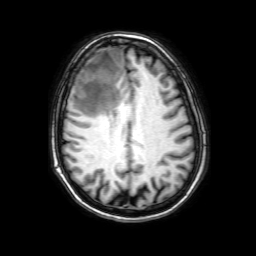
- modality: 3 Tesla brain MRI
- study: ring-enhancing brain masses